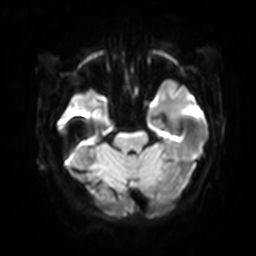
3 Tesla brain MRI. Series: diffusion-weighted imaging with SENSE (WIP). Study: ring-enhancing brain masses.